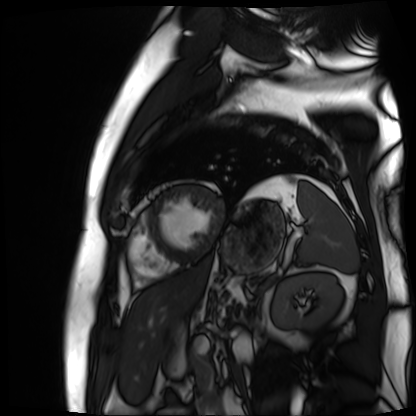
Cardiac MR image of the myocardium. Subject cohort: cardiac patient.